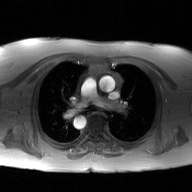
Summary: 2D phase-contrast cine MRI of the ascending aorta, GAN super-resolution reconstruction.